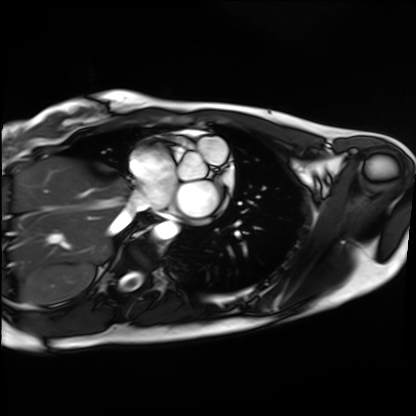
| field | value |
|---|---|
| modality | cardiac MRI |
| subject group | healthy volunteer |